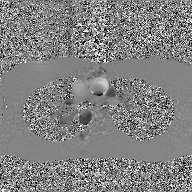
2D phase-contrast cine MRI of the ascending aorta, GAN super-resolution reconstruction.